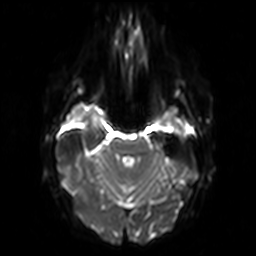
Clinical context: 3 Tesla brain MRI. Series: diffusion-weighted imaging. Study: ring-enhancing brain masses.